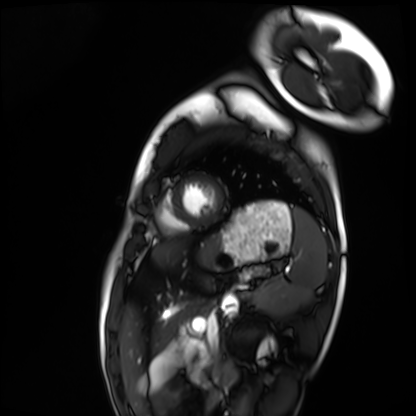
– modality: cardiac MRI
– subject group: healthy volunteer